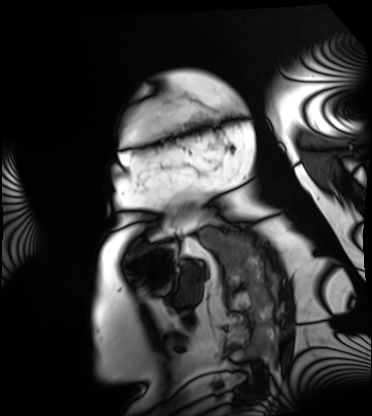
Summary:
Cardiac MRI. Subject group: patient.